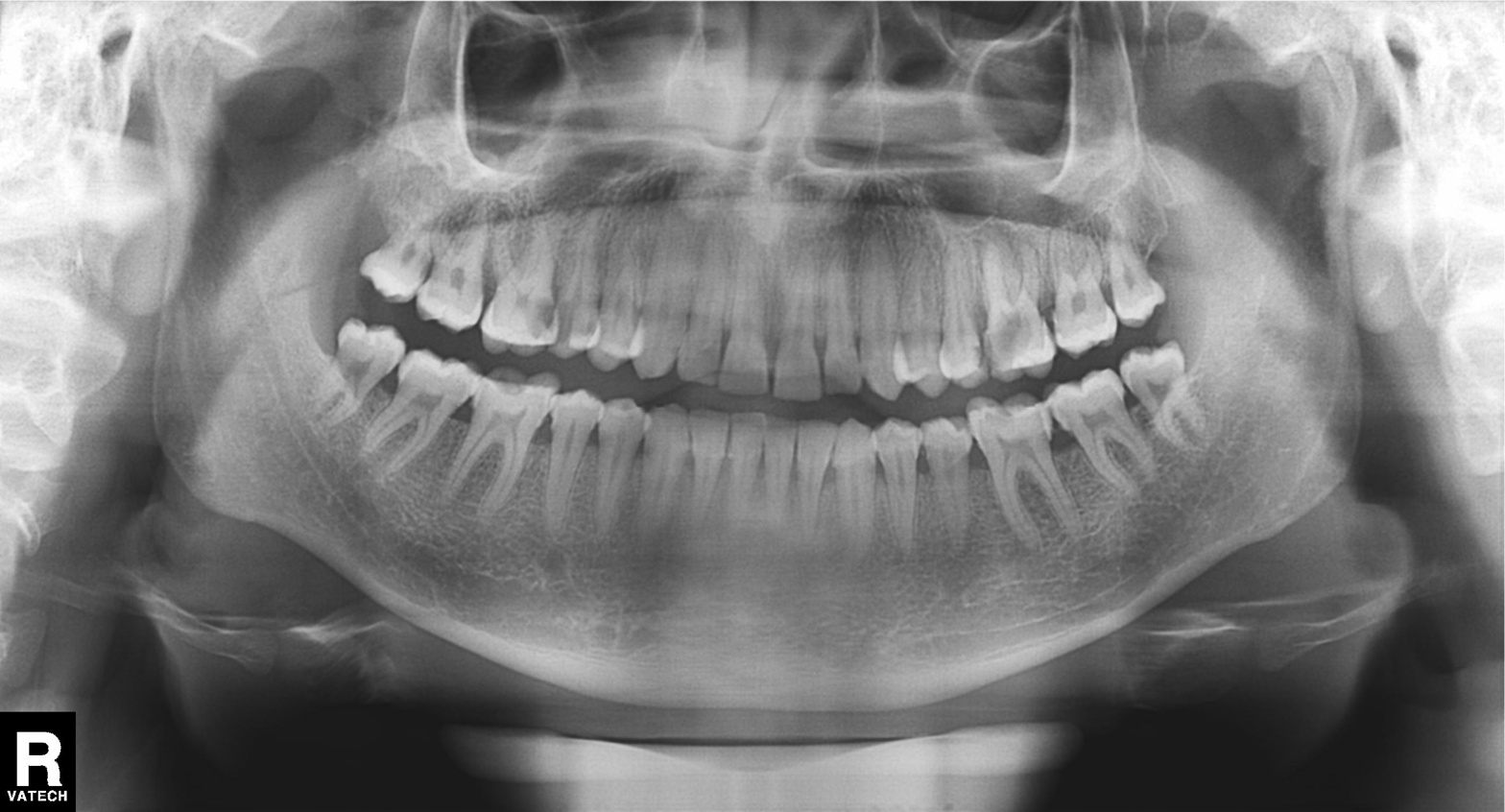
Clinical context:
Panoramic dental radiograph (orthopantomogram).
Diagnosis:
Tooth impaction.